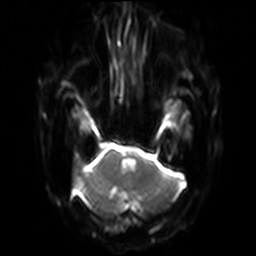
Clinical context:
3 Tesla brain MRI. Series: diffusion-weighted imaging with SENSE (WIP). Study: ring-enhancing brain masses.